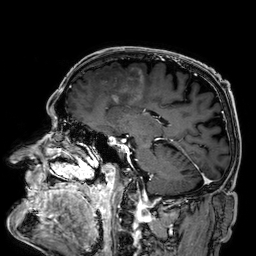
Q: What kind of scan is this?
A: 3 Tesla brain MRI.
Q: Series?
A: 3D T1-weighted.
Study: ring-enhancing brain masses.